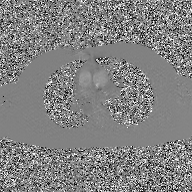
Clinical context:
2D phase-contrast cine MRI of the ascending aorta, GAN super-resolution reconstruction.